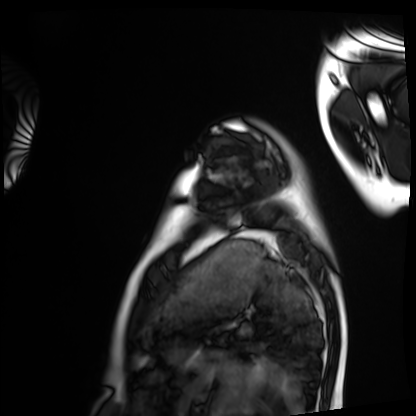
Case:
• modality — cardiac MRI
• subject group — healthy volunteer